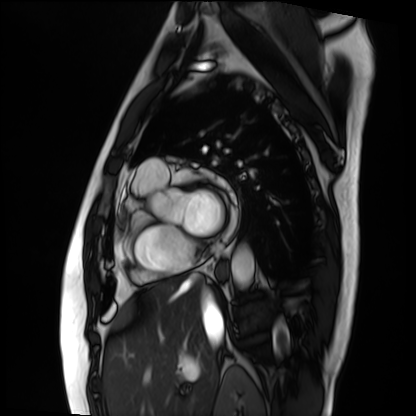
Cardiac MRI. Subject group: patient.